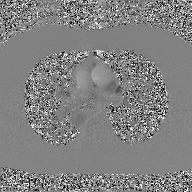
– modality: 2D phase-contrast cine MRI of the ascending aorta, GAN super-resolution reconstruction